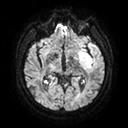
3 Tesla brain MRI.
Series: diffusion tensor imaging (medium iso).
Study: ring-enhancing brain masses.